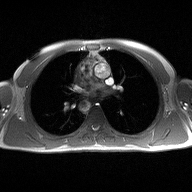
modality = 2D phase-contrast cine MRI of the ascending aorta.